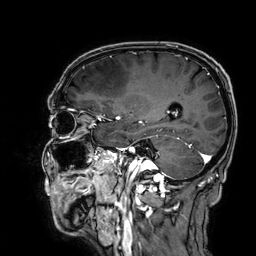
– modality · 3 Tesla brain MRI
– series · 3D T1-weighted
– study · ring-enhancing brain masses